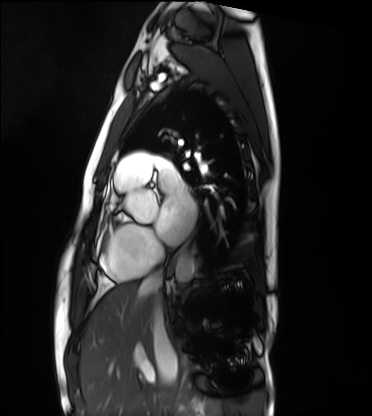
{
  "modality": "cardiac MRI",
  "cohort": "healthy volunteer"
}